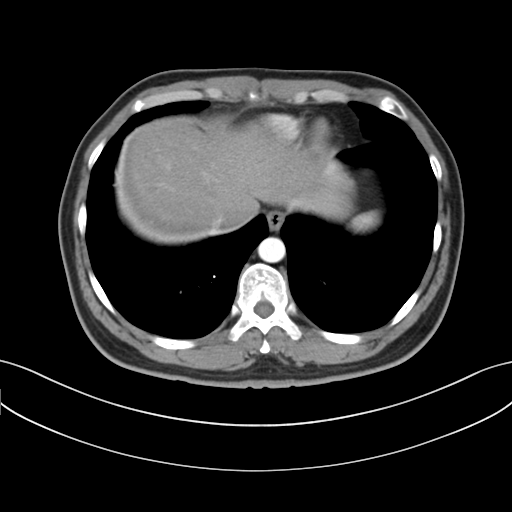
Q: What kind of scan is this?
A: Multiphase abdominal CT, liver, arterial phase.
Q: Patient?
A: Male, age 38.
Q: History?
A: Cirrhosis, viral hepatitis.